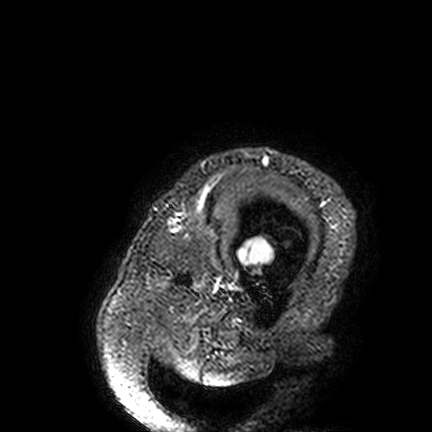
3 Tesla brain MRI.
Series: FLAIR VISTA.
Study: ring-enhancing brain masses.